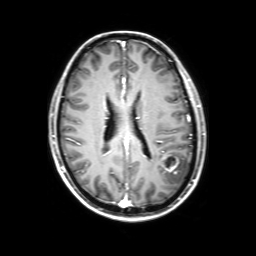
Summary: 3 Tesla brain MRI. Study: ring-enhancing brain masses.